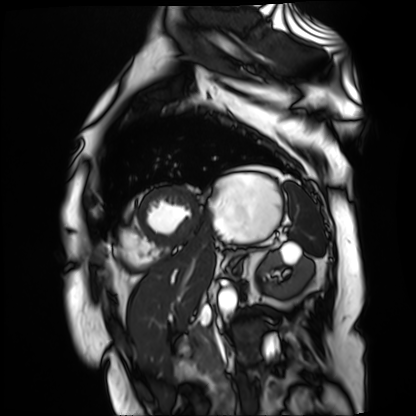
• modality: cardiac MR image of the myocardium
• subject cohort: cardiac patient